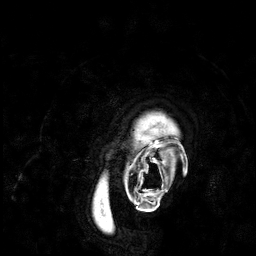
Q: What kind of scan is this?
A: 3 Tesla brain MRI.
Study: ring-enhancing brain masses.